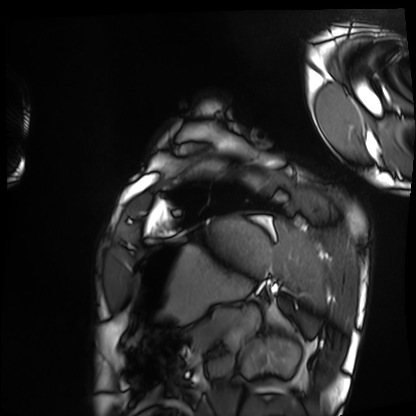
Cardiac MRI. Subject group: healthy volunteer.